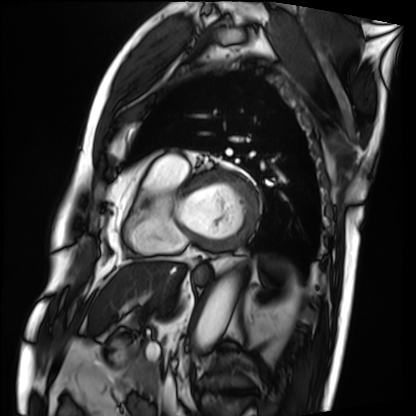
modality = cardiac MRI, subject group = patient.